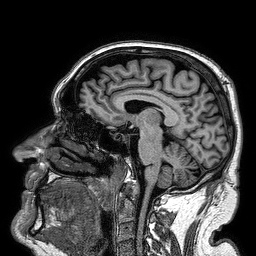
Clinical context: 3 Tesla brain MRI. Series: 3D T1-weighted turbo field echo. Study: ring-enhancing brain masses.